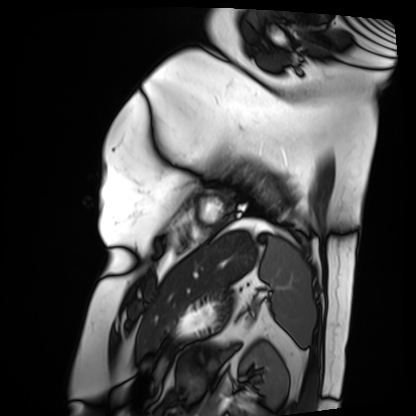
Case summary:
Cardiac MRI. Subject group: patient.